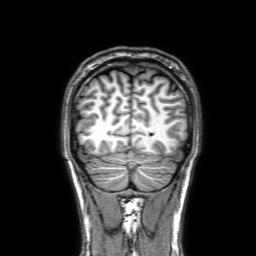
modality = 3 Tesla brain MRI
series = 3D T1-weighted with SENSE
study = ring-enhancing brain masses